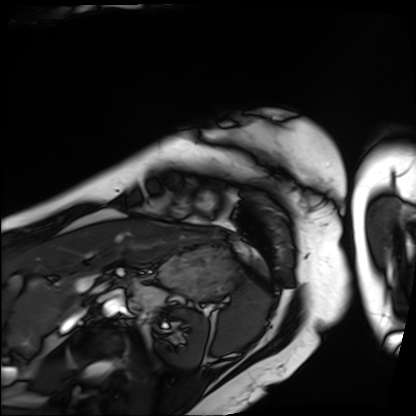
Cardiac MRI.
Subject group: patient.